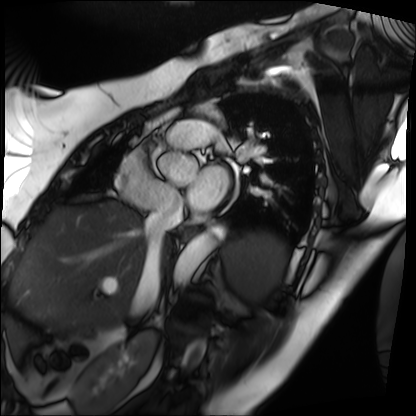
Cardiac MRI. Subject group: patient.